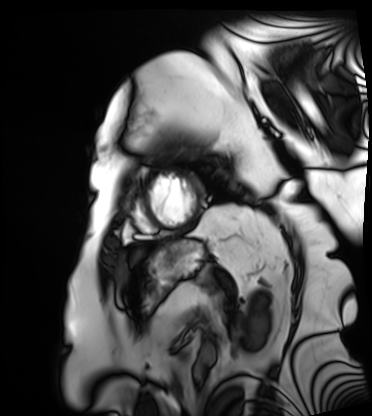
Clinical context: Cardiac MRI. Subject group: patient.